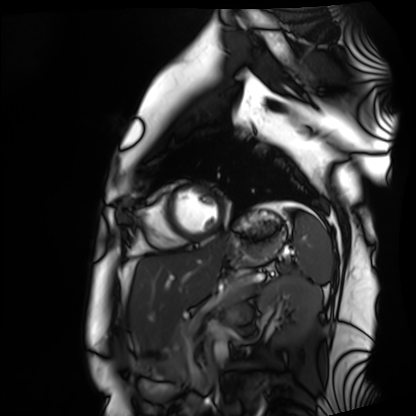
Cardiac MRI. Subject group: healthy volunteer.